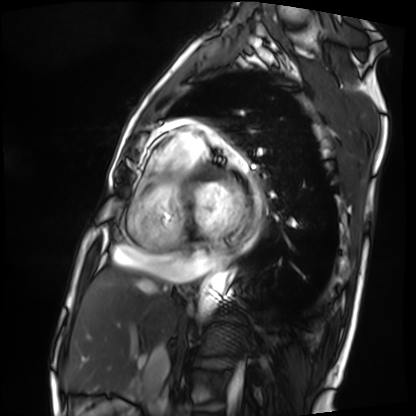
Cardiac MRI.
Subject group: patient.